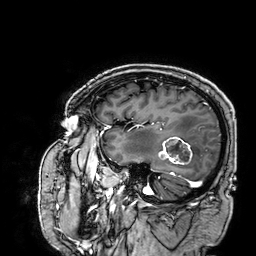
3 Tesla brain MRI.
Study: ring-enhancing brain masses.